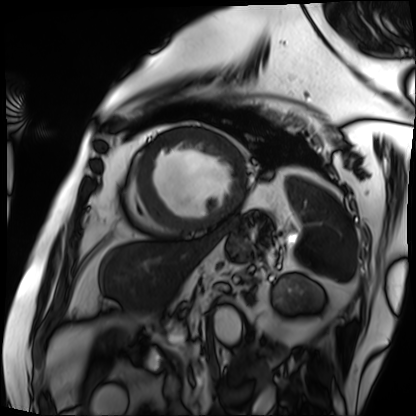
Cardiac MRI. Subject group: patient.